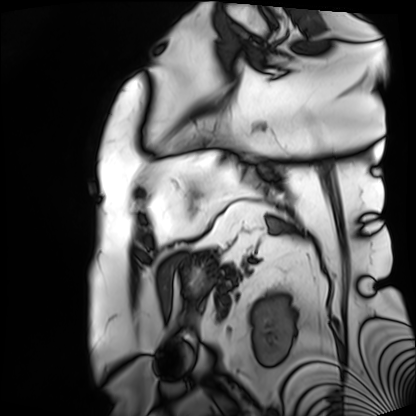
Cardiac MRI.
Subject group: patient.